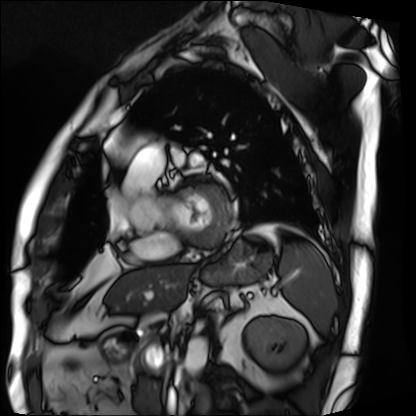
Cardiac MRI. Subject group: patient.